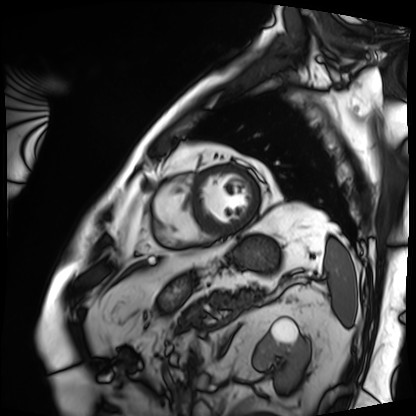
Summary:
Cardiac MRI. Subject group: patient.